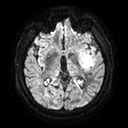
3 Tesla brain MRI. Series: diffusion tensor imaging (medium iso). Study: ring-enhancing brain masses.